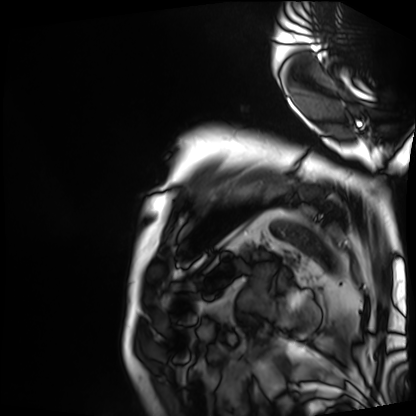
Case:
• modality — cardiac MRI
• subject group — patient